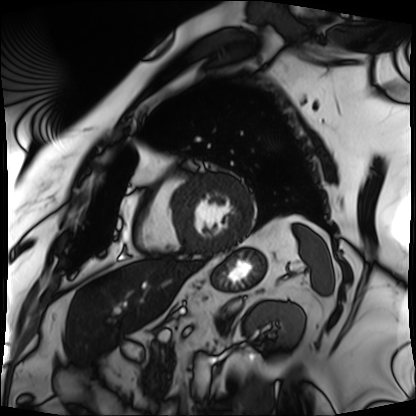
Summary: Cardiac MRI. Subject group: patient.